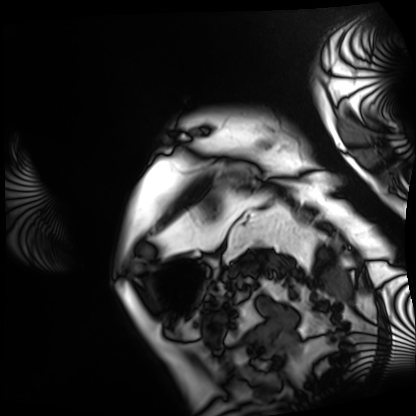
modality: cardiac MRI
subject group: patient